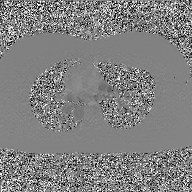
modality=2D phase-contrast cine MRI of the ascending aorta, GAN super-resolution reconstruction